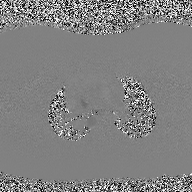
modality=2D phase-contrast cine MRI of the ascending aorta.